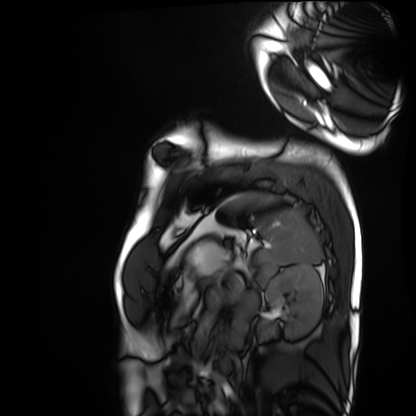
Cardiac MRI. Subject group: healthy volunteer.